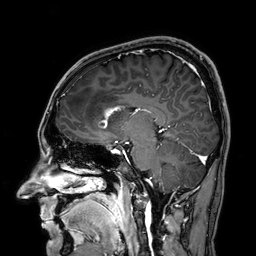
Clinical context: 3 Tesla brain MRI. Series: 3D T1-weighted. Study: ring-enhancing brain masses.